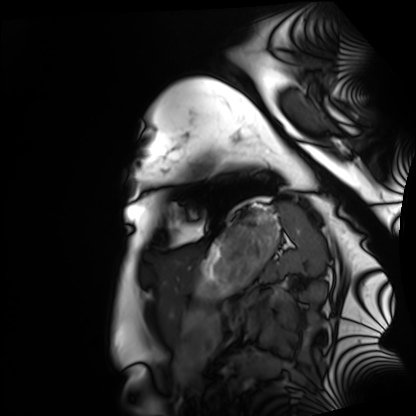
Cardiac MRI.
Subject group: healthy volunteer.